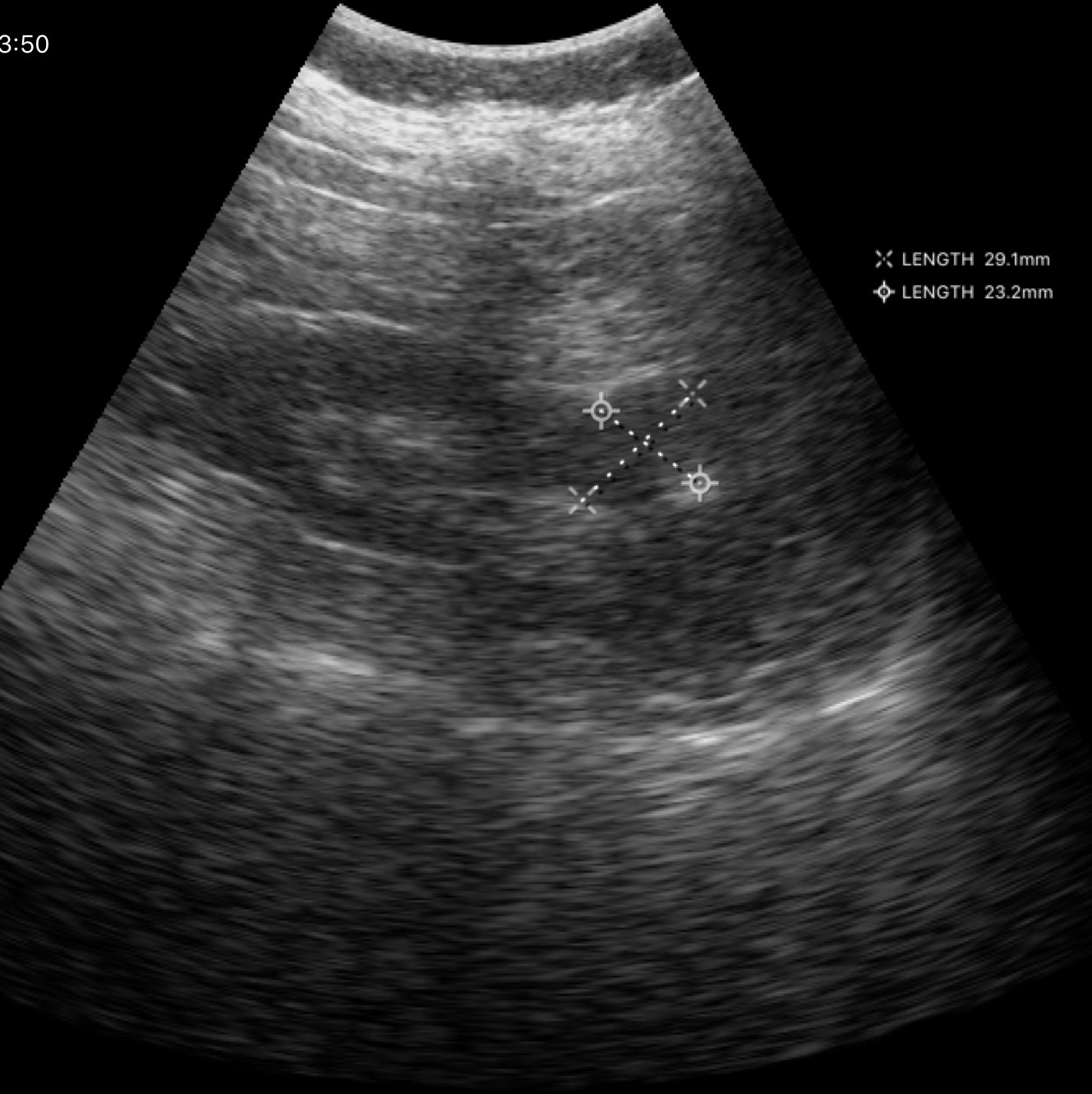
Genitourinary ultrasound.